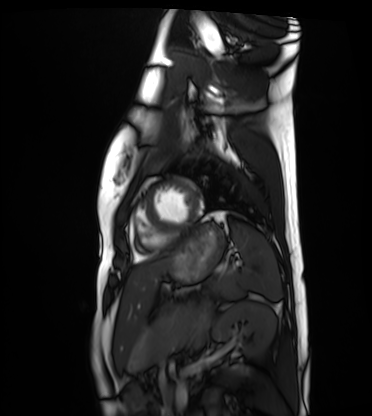
modality: cardiac MRI
subject group: healthy volunteer